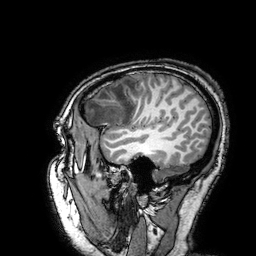
Q: What kind of scan is this?
A: 3 Tesla brain MRI.
Q: Series?
A: 3D T1-weighted turbo field echo with SENSE.
Study: ring-enhancing brain masses.